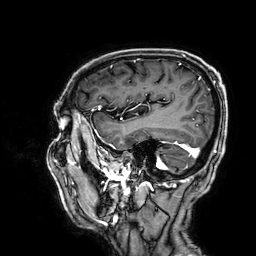
modality = 3 Tesla brain MRI | series = 3D T1-weighted | study = ring-enhancing brain masses.